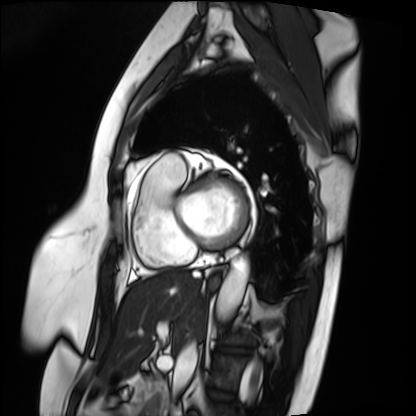
Case summary: Cardiac MRI. Subject group: patient.